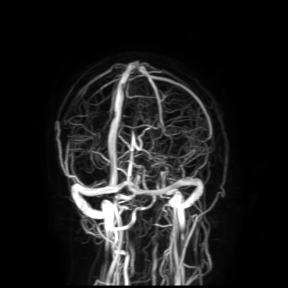
  modality:
    type: brain MRI
    field_strength: 3T
  study_topic: ring-enhancing brain masses